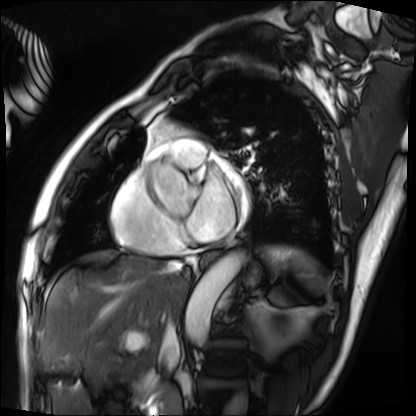
Cardiac MRI. Subject group: patient.